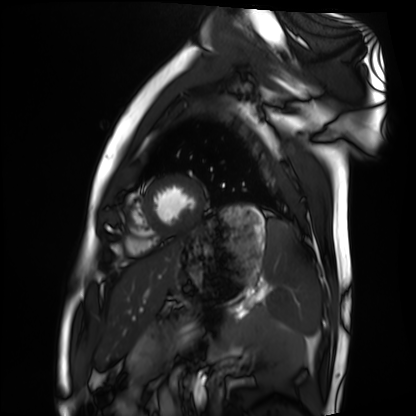
Q: What kind of scan is this?
A: Cardiac MRI.
Subject group: healthy volunteer.